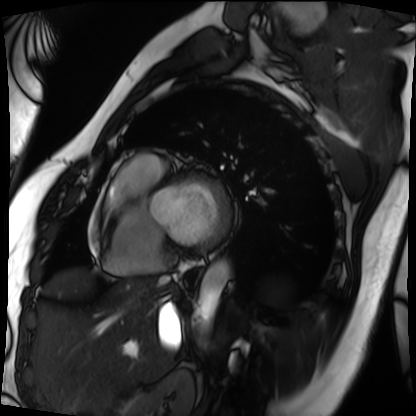
{
  "modality": "cardiac MRI",
  "cohort": "patient"
}